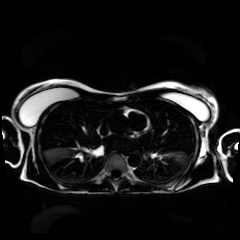
Q: What kind of scan is this?
A: Chemical-shift-encoded cardiac MRI.